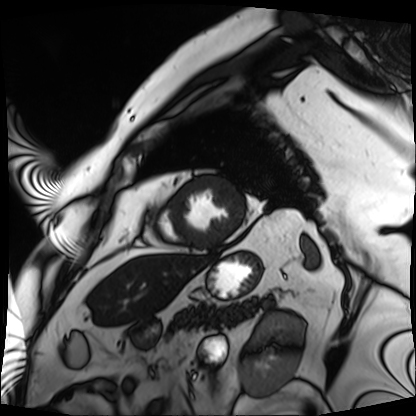
{"modality": "cardiac MRI", "cohort": "patient"}